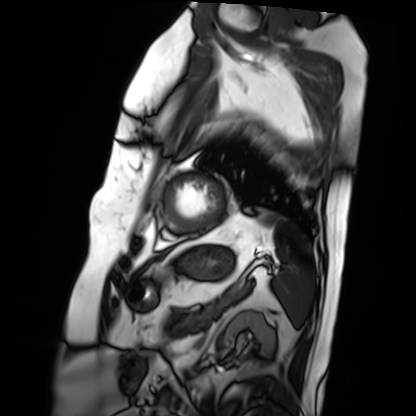
Cardiac MRI.
Subject group: patient.